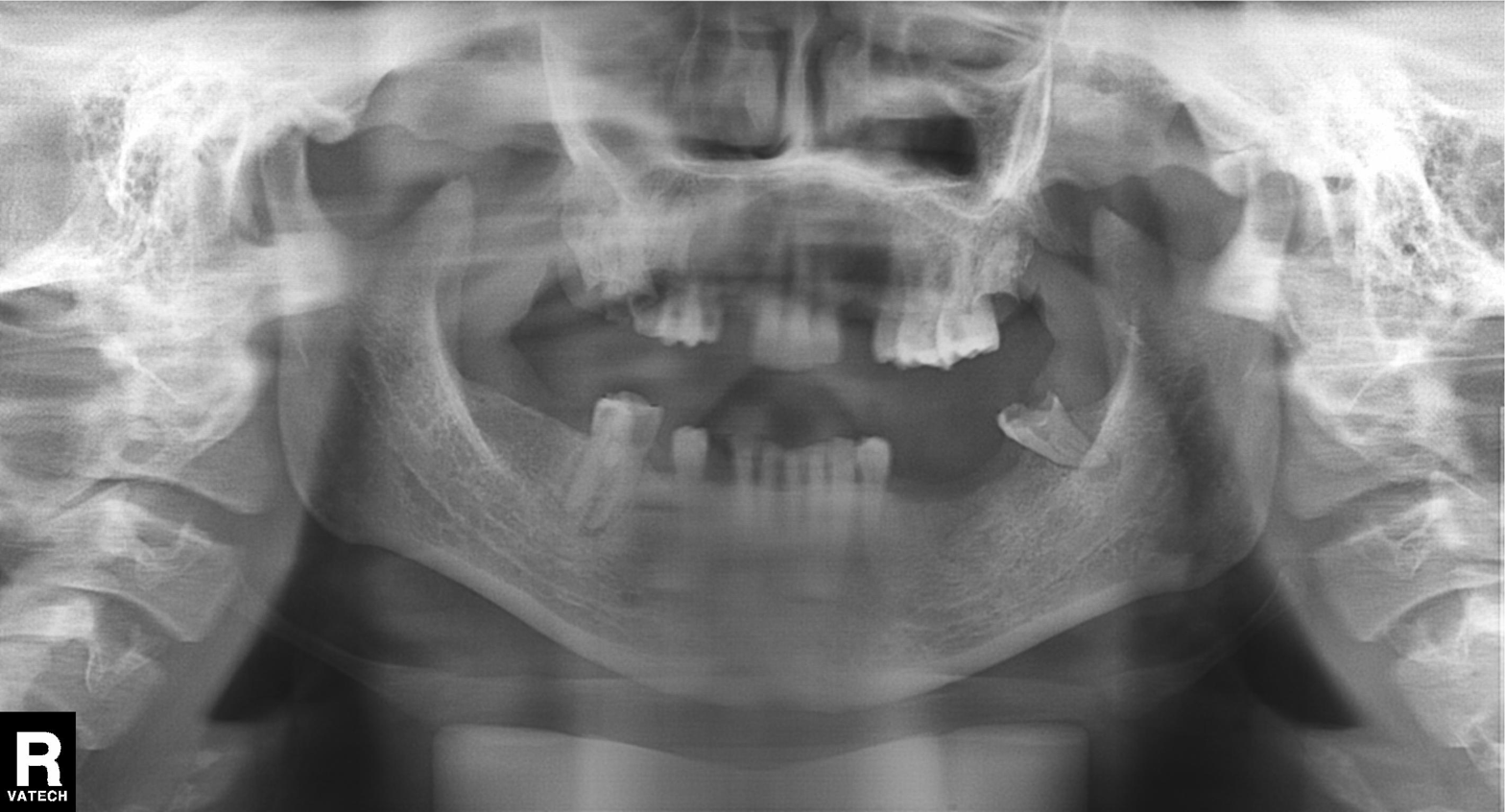
Panoramic dental radiograph (orthopantomogram).
Finding: tooth impaction.